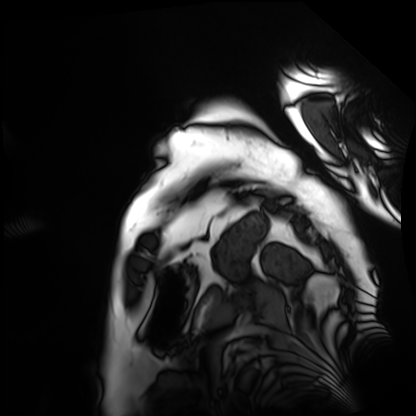
• modality — cardiac MRI
• subject group — patient